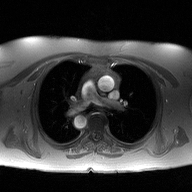
Clinical context:
2D phase-contrast cine MRI of the ascending aorta, high-resolution GRAPPA acquisition.